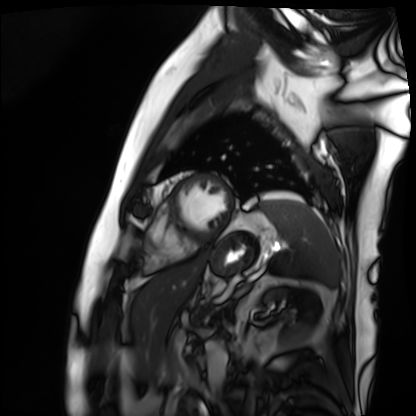
Cardiac MRI.
Subject group: patient.